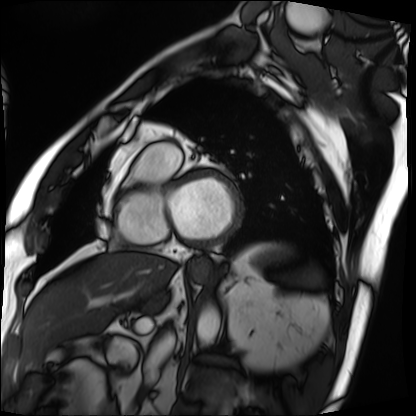
Cardiac MRI.
Subject group: patient.